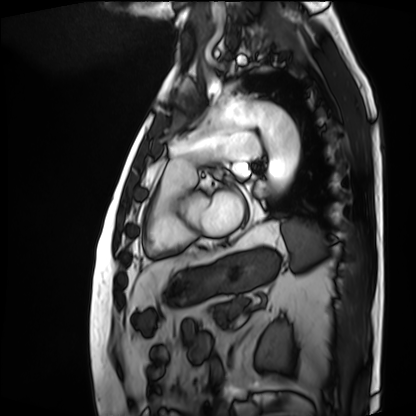
Cardiac MRI.
Subject group: patient.